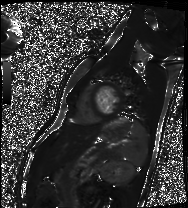
Summary: Cardiac MRI. Subject group: healthy volunteer.